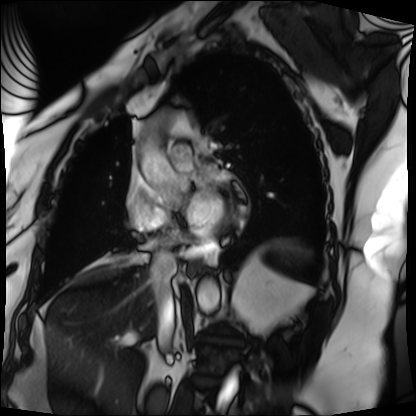
Cardiac MRI. Subject group: patient.